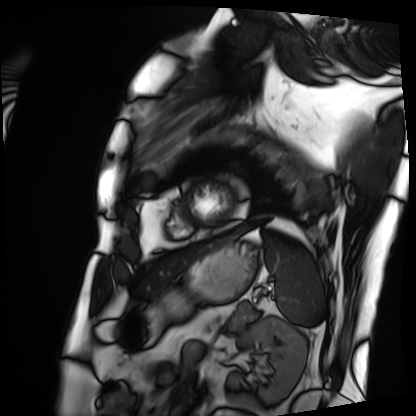
Cardiac MRI.
Subject group: patient.